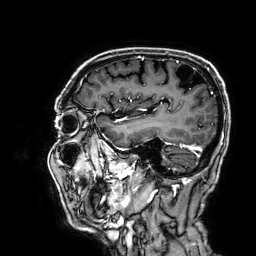
Q: What kind of scan is this?
A: 3 Tesla brain MRI.
Q: Series?
A: 3D T1-weighted.
Study: ring-enhancing brain masses.